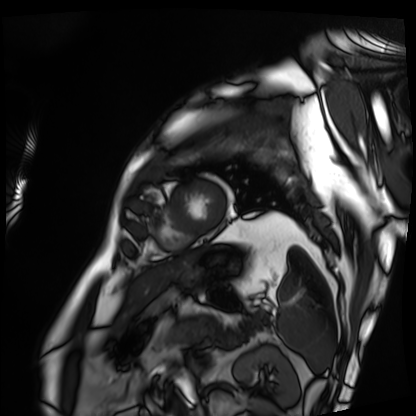
modality = cardiac MRI, subject group = patient.